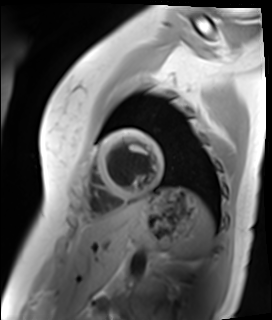
– modality · cardiac MR image of the myocardium
– subject cohort · healthy volunteer